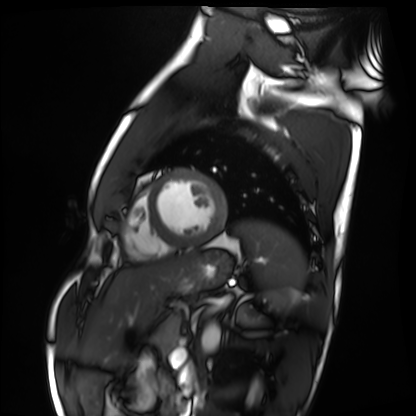
<record>
  <modality>cardiac MRI</modality>
  <cohort>healthy volunteer</cohort>
</record>